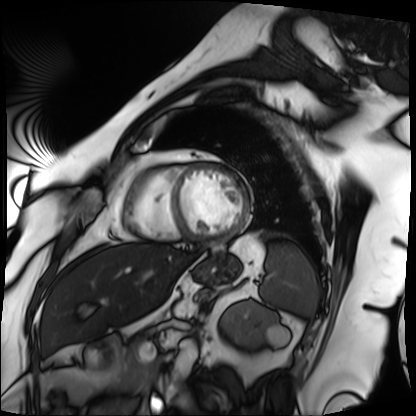
Clinical context: Cardiac MRI. Subject group: patient.